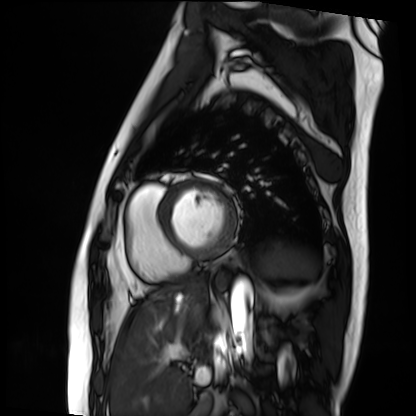
modality=cardiac MRI
subject group=patient